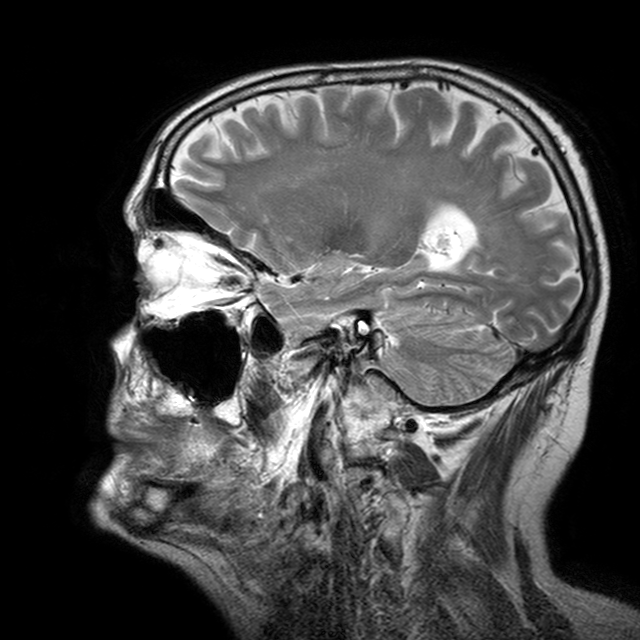
Q: What kind of scan is this?
A: 3 Tesla brain MRI.
Q: Series?
A: T2-weighted turbo spin echo with CLEAR.
Study: ring-enhancing brain masses.